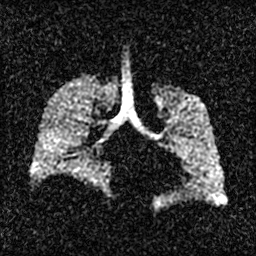
Case:
* modality · hyperpolarized 129Xe ventilation MRI of the lungs
* SNR level · 2 of 8 (the deposit holds this scan as its native image and as seven SNR-degraded versions)